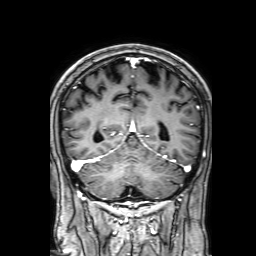
<study>
<modality>
  <type>brain MRI</type>
  <field_strength>3T</field_strength>
</modality>
<series>3D T1-weighted with SENSE</series>
<study_topic>ring-enhancing brain masses</study_topic>
</study>